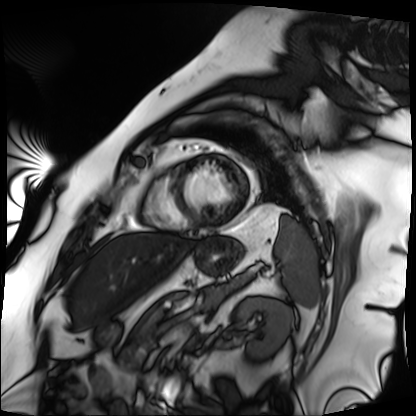
Cardiac MRI. Subject group: patient.